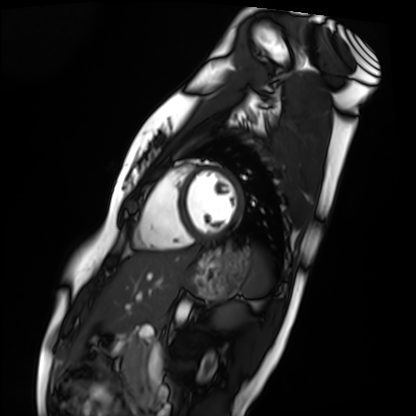
Cardiac MRI. Subject group: healthy volunteer.